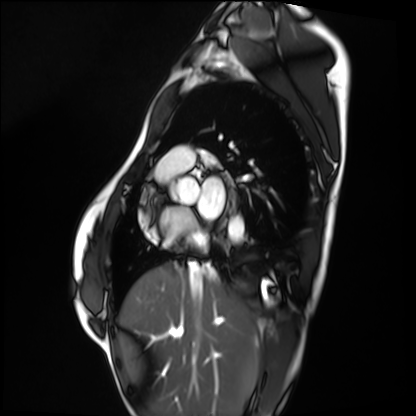
Cardiac MRI. Subject group: healthy volunteer.